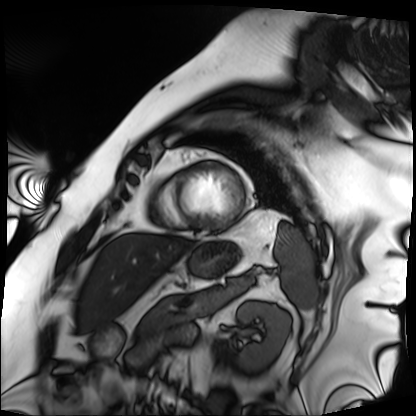
{"modality": "cardiac MRI", "cohort": "patient"}